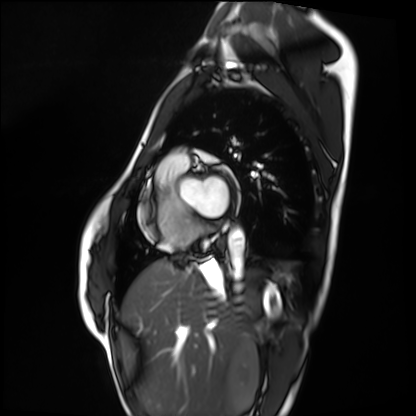
Q: What kind of scan is this?
A: Cardiac MRI.
Subject group: healthy volunteer.